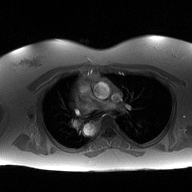
<record>
<modality>
  <type>2D phase-contrast cine MRI</type>
  <region>ascending aorta</region>
  <reconstruction>high-resolution GRAPPA acquisition</reconstruction>
</modality>
</record>